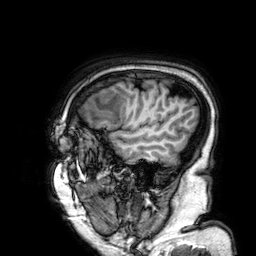
Case summary: 3 Tesla brain MRI. Series: 3D T1-weighted. Study: ring-enhancing brain masses.